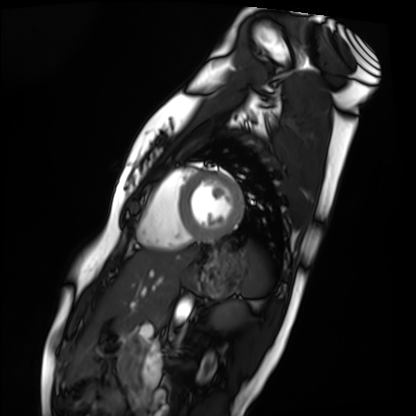
Case summary: Cardiac MRI. Subject group: healthy volunteer.